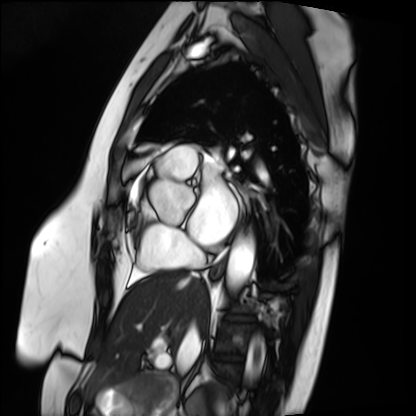
* modality: cardiac MRI
* subject group: patient